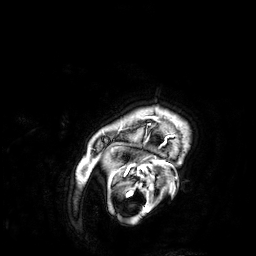
3 Tesla brain MRI.
Series: 3D T1-weighted.
Study: ring-enhancing brain masses.